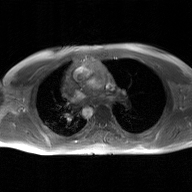
| field | value |
|---|---|
| modality | 2D phase-contrast cine MRI of the ascending aorta, GAN super-resolution reconstruction |